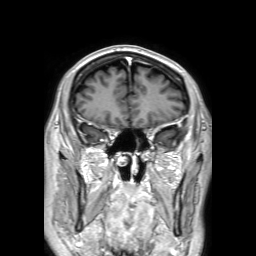
3 Tesla brain MRI. Series: 3D T1-weighted TFE with SENSE. Study: ring-enhancing brain masses.